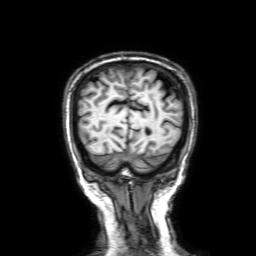
3 Tesla brain MRI. Series: 3D T1-weighted with SENSE. Study: ring-enhancing brain masses.